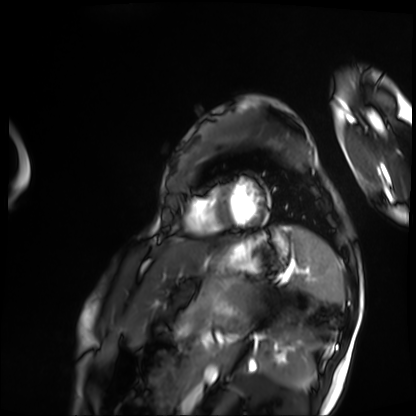
Summary:
Cardiac MRI. Subject group: patient.